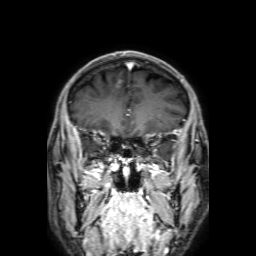
<case>
<modality>
  <type>brain MRI</type>
  <field_strength>3T</field_strength>
</modality>
<series>3D T1-weighted with SENSE</series>
<study_topic>ring-enhancing brain masses</study_topic>
</case>